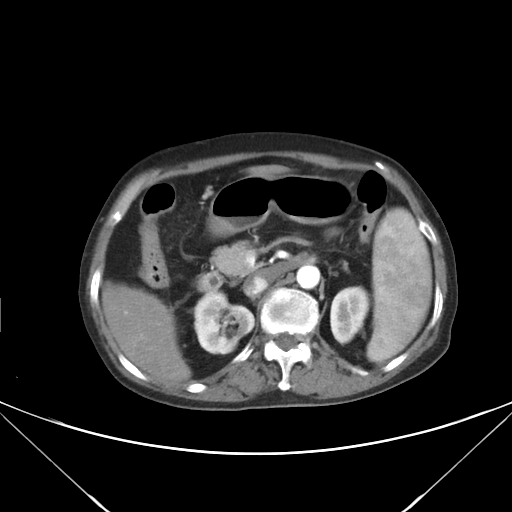
Q: What kind of scan is this?
A: Multiphase abdominal CT, liver, arterial phase.
Q: Patient?
A: Female, age 70.
Q: History?
A: Viral hepatitis.